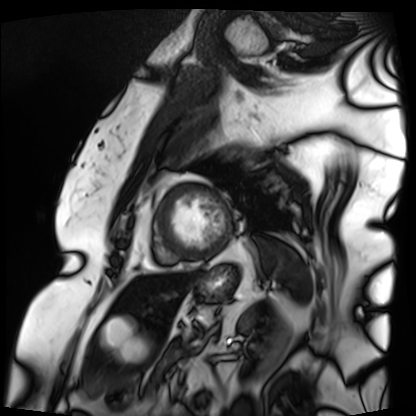
* modality: cardiac MRI
* subject group: patient